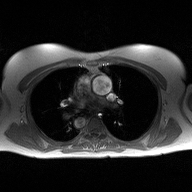
Q: What kind of scan is this?
A: 2D phase-contrast cine MRI of the ascending aorta.